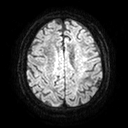
Summary:
3 Tesla brain MRI. Series: diffusion tensor imaging (medium iso). Study: ring-enhancing brain masses.